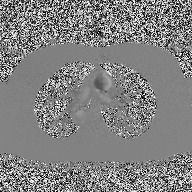
Summary: 2D phase-contrast cine MRI of the ascending aorta, high-resolution GRAPPA acquisition.